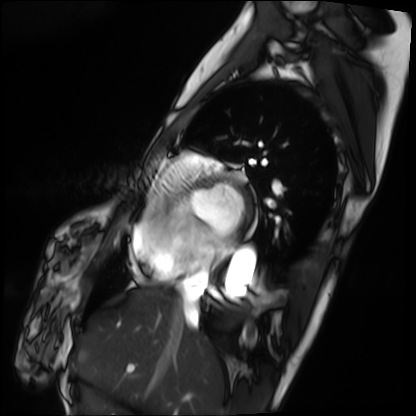
Clinical context:
Cardiac MRI. Subject group: patient.